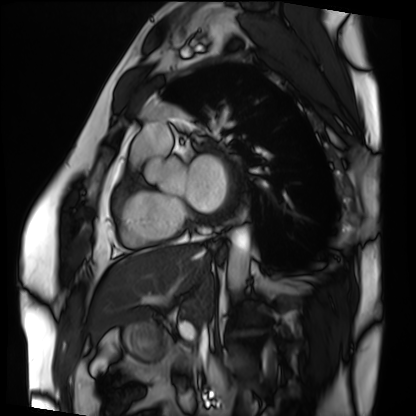
Q: What kind of scan is this?
A: Cardiac MRI.
Subject group: patient.